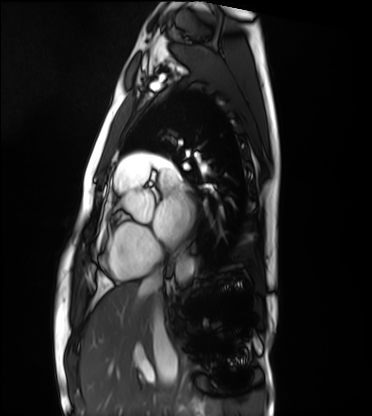
Clinical context:
Cardiac MRI. Subject group: healthy volunteer.